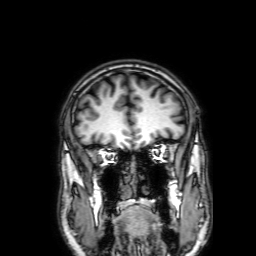
Q: What kind of scan is this?
A: 3 Tesla brain MRI.
Q: Series?
A: 3D T1-weighted with SENSE.
Study: ring-enhancing brain masses.